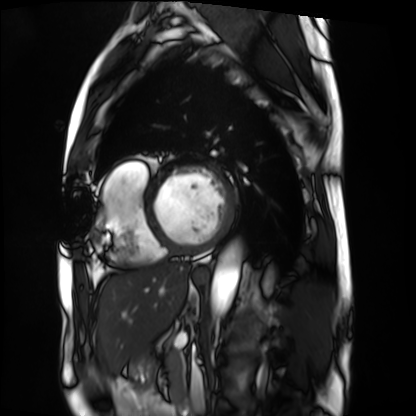
Cardiac MRI.
Subject group: patient.